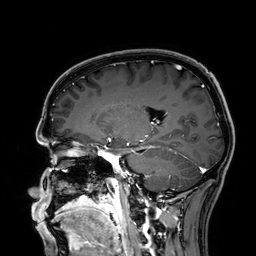
3 Tesla brain MRI. Series: 3D T1-weighted. Study: ring-enhancing brain masses.